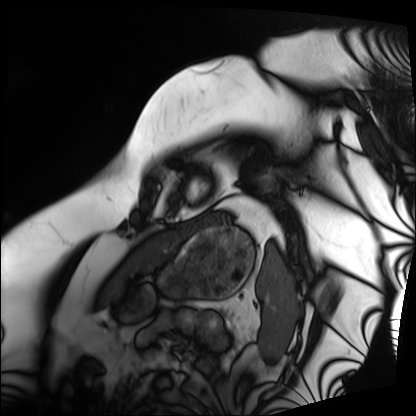
Case:
– modality: cardiac MRI
– subject group: patient